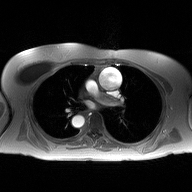
2D phase-contrast cine MRI of the ascending aorta, high-resolution GRAPPA acquisition.